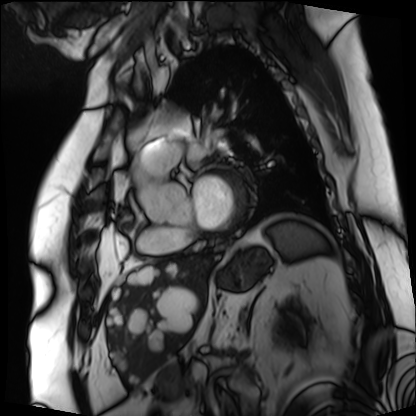
Cardiac MRI.
Subject group: patient.